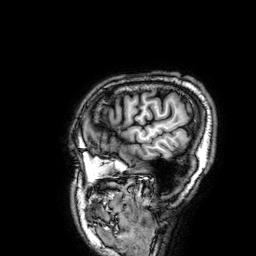
modality: 3 Tesla brain MRI | series: 3D T1-weighted | study: ring-enhancing brain masses.